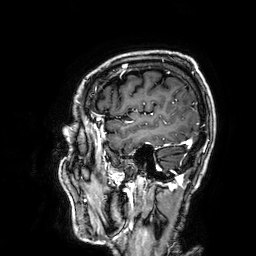
3 Tesla brain MRI. Series: 3D T1-weighted. Study: ring-enhancing brain masses.